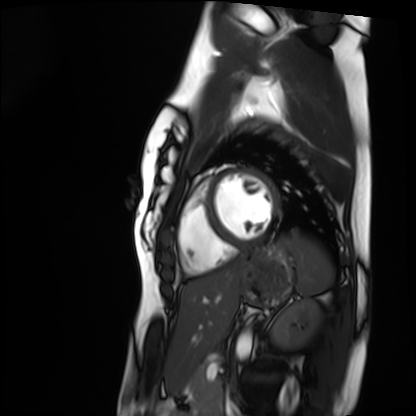
Cardiac MRI.
Subject group: healthy volunteer.